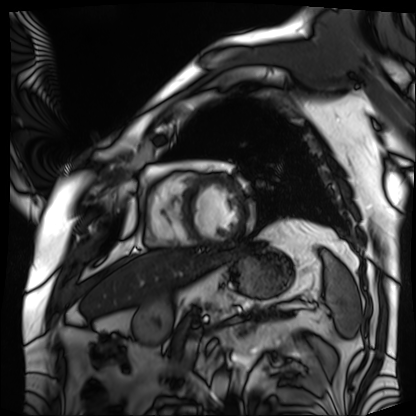
Cardiac MRI.
Subject group: patient.